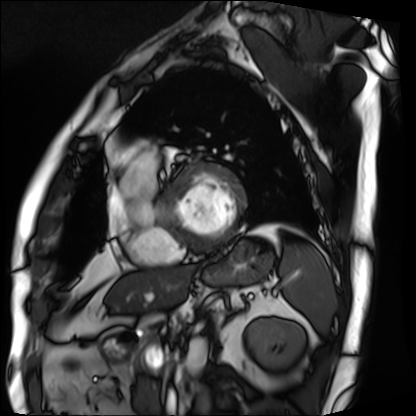
Case summary: Cardiac MRI. Subject group: patient.